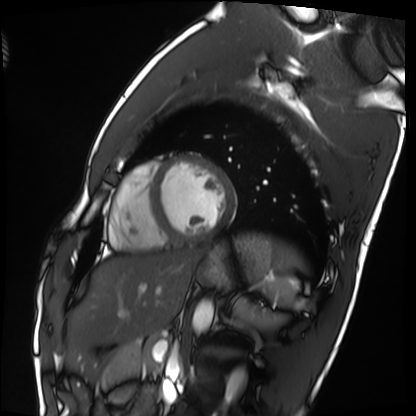
modality = cardiac MRI | subject group = healthy volunteer.